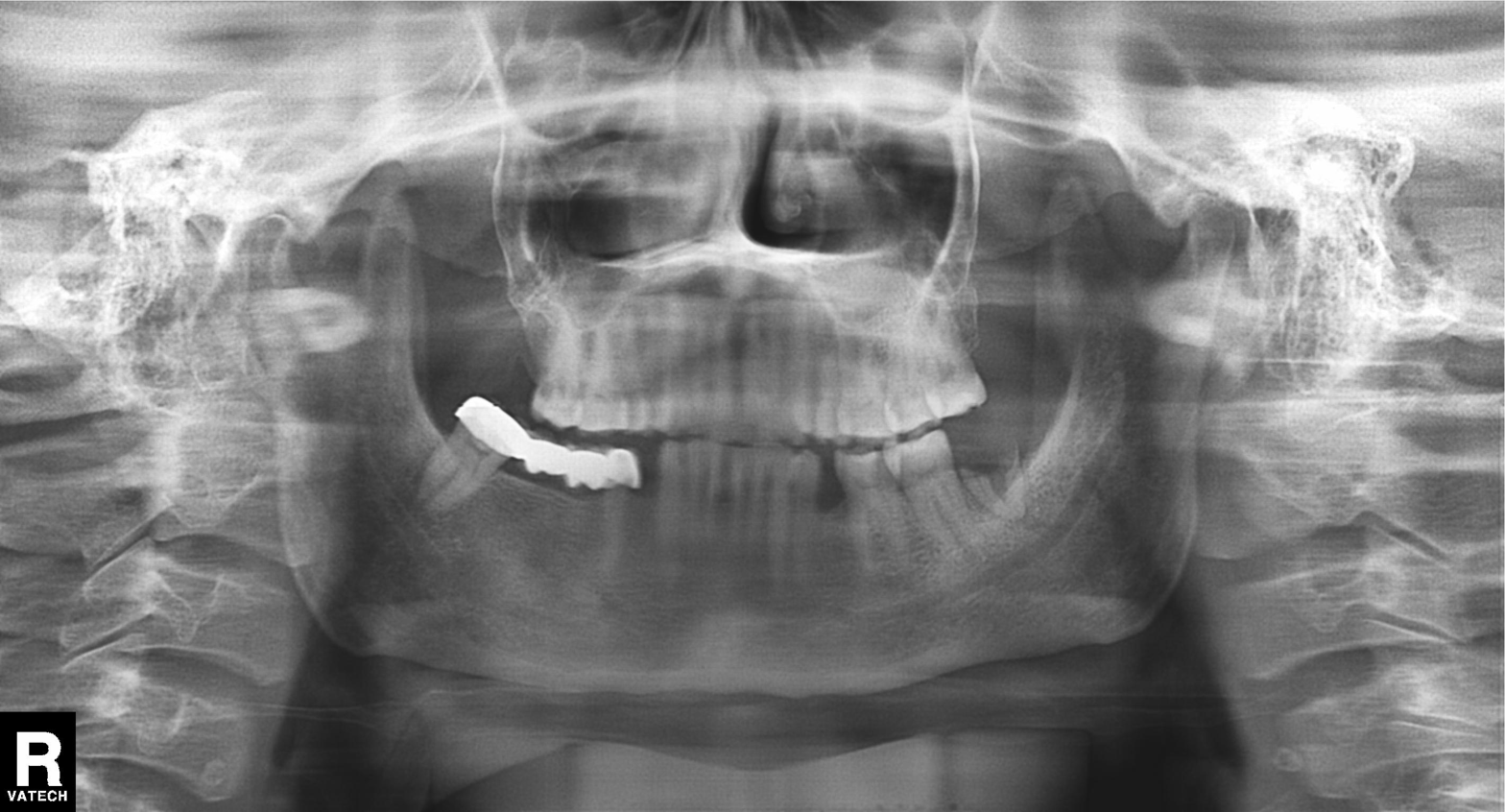
Summary:
Panoramic dental radiograph (orthopantomogram).
Assessment:
Tooth impaction.